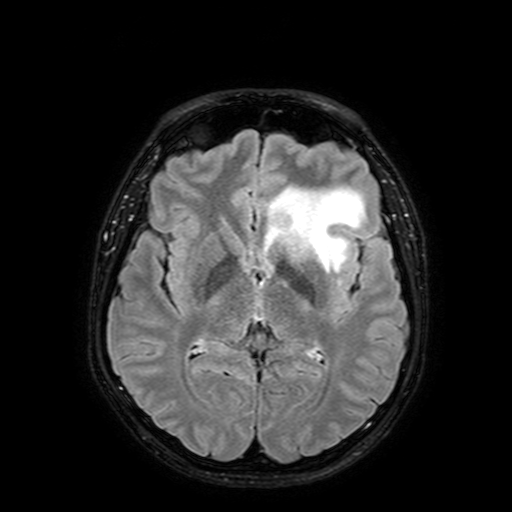
{"modality": {"type": "brain MRI", "field_strength": "3T"}, "series": "FLAIR with SPAIR, 3 mm", "study_topic": "ring-enhancing brain masses"}